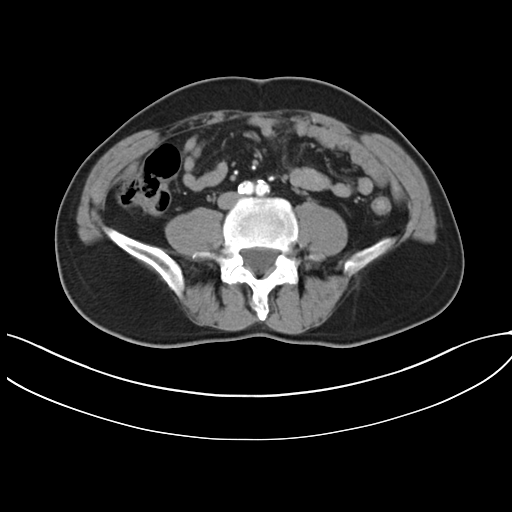
Summary:
Multiphase abdominal CT, liver, arterial phase. Patient: male, age 55.